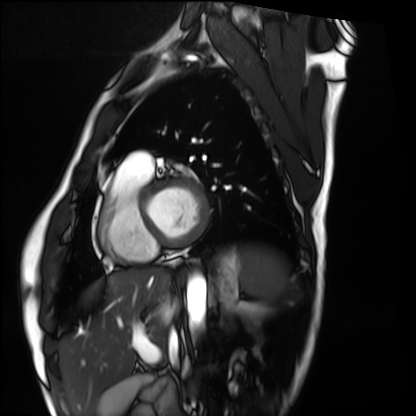
Cardiac MRI. Subject group: healthy volunteer.